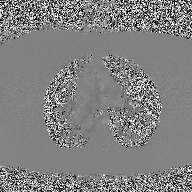
modality=2D phase-contrast cine MRI of the ascending aorta